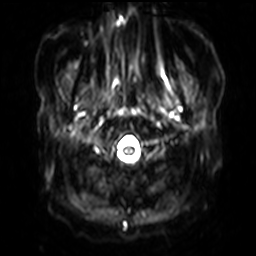
3 Tesla brain MRI.
Series: diffusion-weighted imaging with SENSE (WIP).
Study: ring-enhancing brain masses.